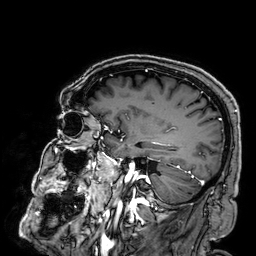
modality: 3 Tesla brain MRI; series: 3D T1-weighted; study: ring-enhancing brain masses.